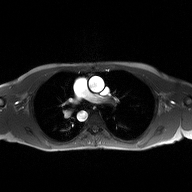
Case summary: 2D phase-contrast cine MRI of the ascending aorta, high-resolution GRAPPA acquisition.